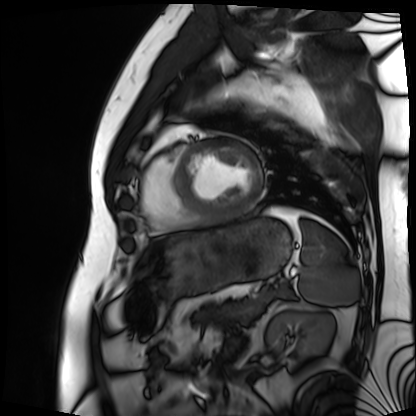
modality — cardiac MRI | subject group — patient.